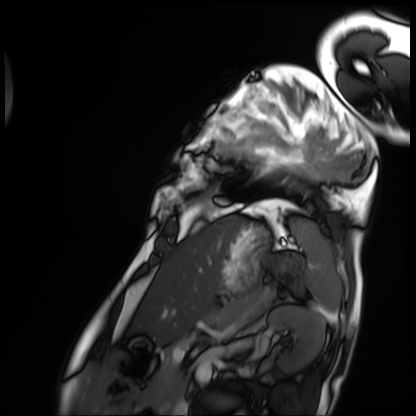
* modality: cardiac MRI
* subject group: patient